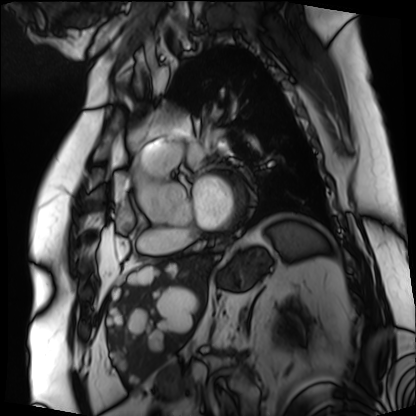
modality=cardiac MRI
subject group=patient